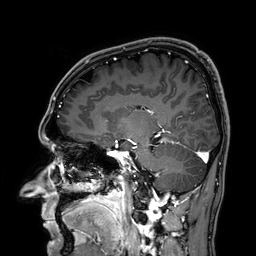
modality: 3 Tesla brain MRI
study: ring-enhancing brain masses